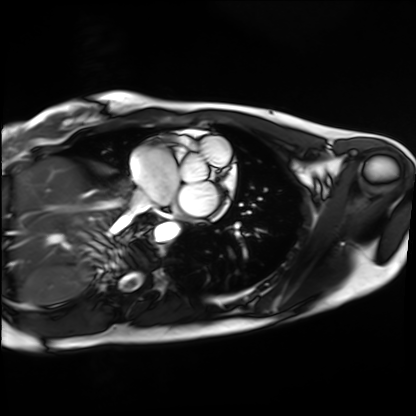
Cardiac MRI. Subject group: healthy volunteer.